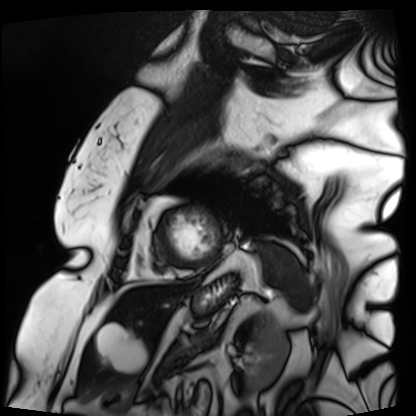
Cardiac MRI. Subject group: patient.